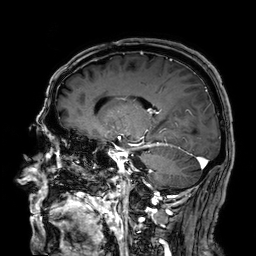
3 Tesla brain MRI. Series: 3D T1-weighted. Study: ring-enhancing brain masses.